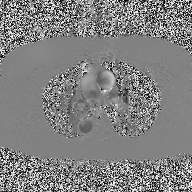
2D phase-contrast cine MRI of the ascending aorta, high-resolution GRAPPA acquisition.